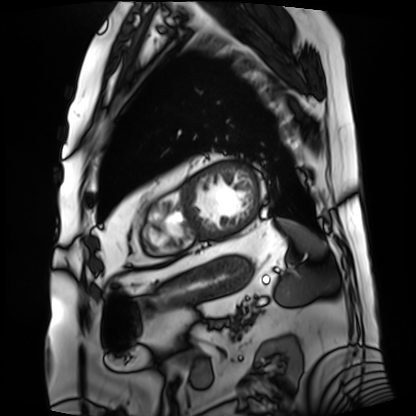
Clinical context:
Cardiac MRI. Subject group: patient.